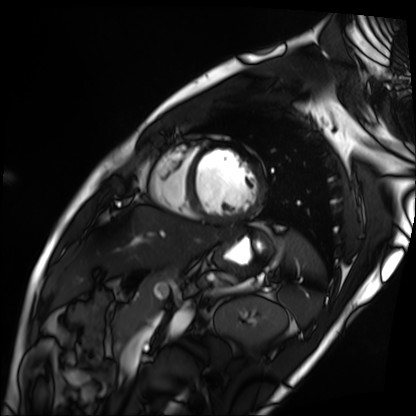
Case:
– modality: cardiac MRI
– subject group: patient